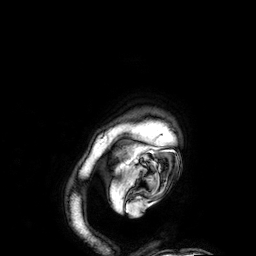
3 Tesla brain MRI.
Series: 3D T1-weighted.
Study: ring-enhancing brain masses.